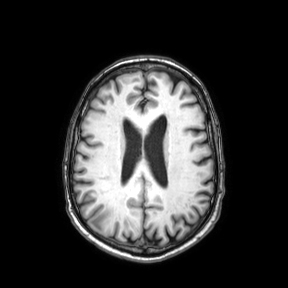
modality = 3 Tesla brain MRI; series = axial; study = ring-enhancing brain masses.